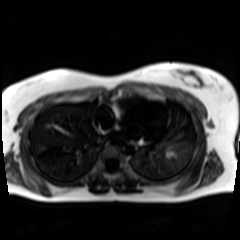
modality: chemical-shift-encoded cardiac MRI